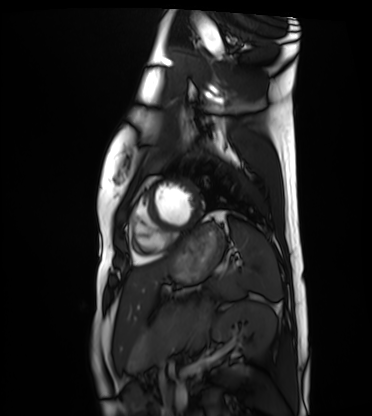
Summary: Cardiac MRI. Subject group: healthy volunteer.